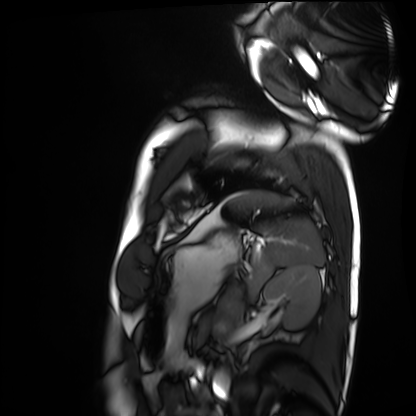
modality — cardiac MRI; subject group — healthy volunteer.